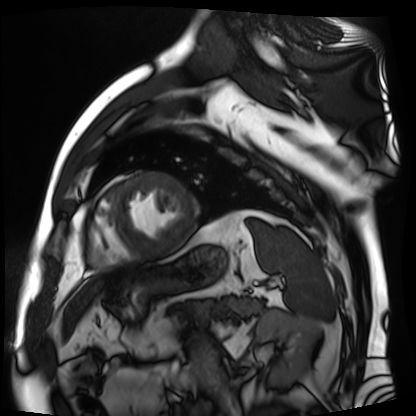
Cardiac MR image of the myocardium. Subject cohort: cardiac patient.